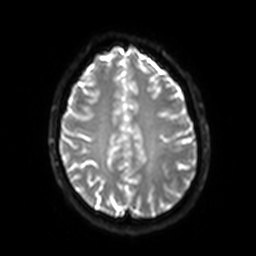
Clinical context: 3 Tesla brain MRI. Series: diffusion-weighted imaging with SENSE (WIP). Study: ring-enhancing brain masses.